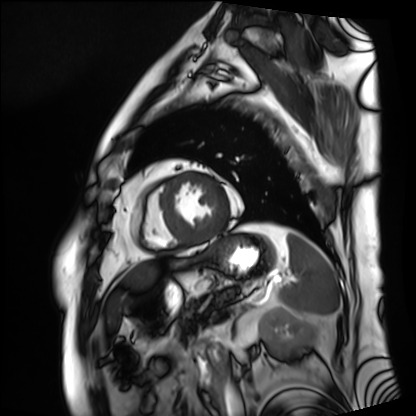
- modality — cardiac MRI
- subject group — patient